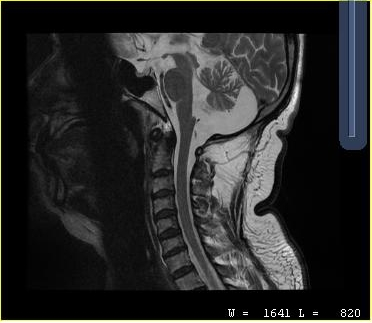
- modality — MRI of the cervical spine
- study — cervical spondylosis